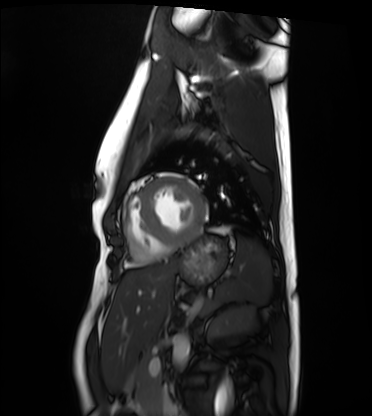
Cardiac MRI.
Subject group: healthy volunteer.